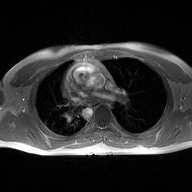
  modality:
    type: 2D phase-contrast cine MRI
    region: ascending aorta
    reconstruction: high-resolution GRAPPA acquisition